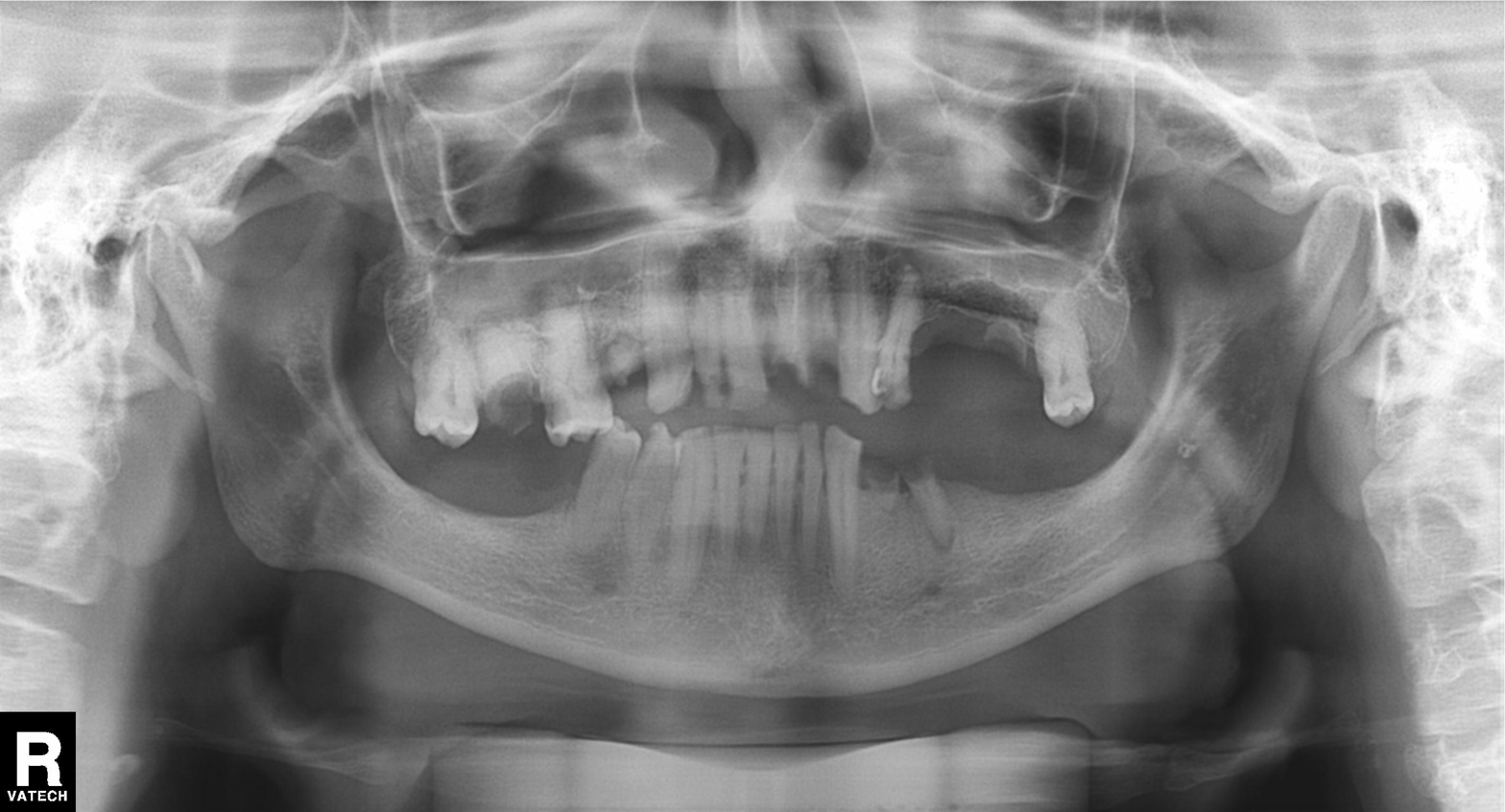
Summary: Panoramic dental radiograph (orthopantomogram).
Diagnosis: Alveolar bone loss.